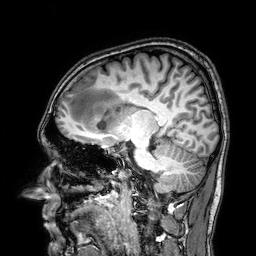
3 Tesla brain MRI. Series: 3D T1-weighted. Study: ring-enhancing brain masses.